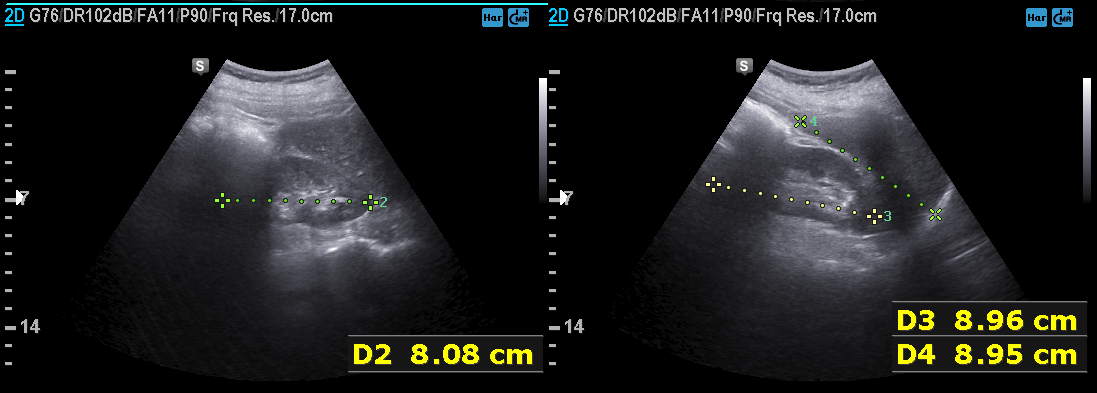
Summary:
Genitourinary ultrasound.